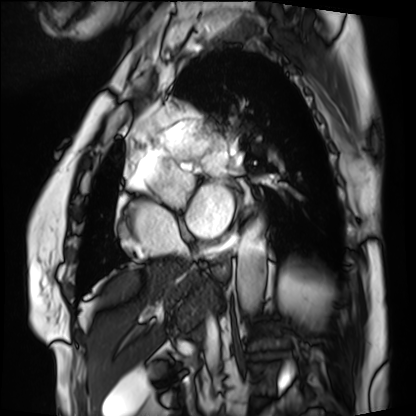
modality: cardiac MRI
subject group: patient